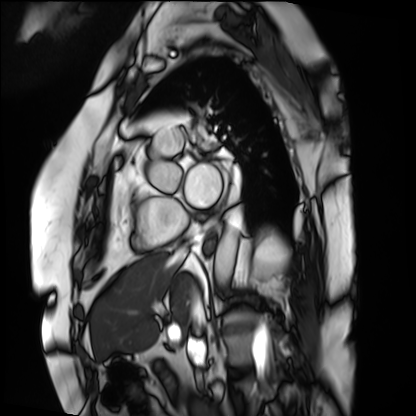
Cardiac MRI. Subject group: patient.